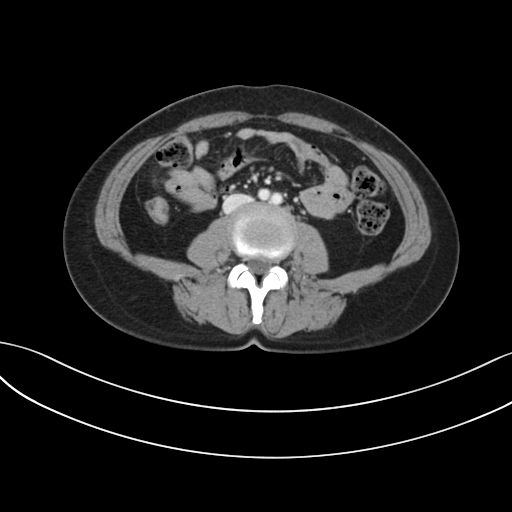
Multiphase abdominal CT, liver, portal venous phase. Patient: female, age 47. History: prior chemotherapy.